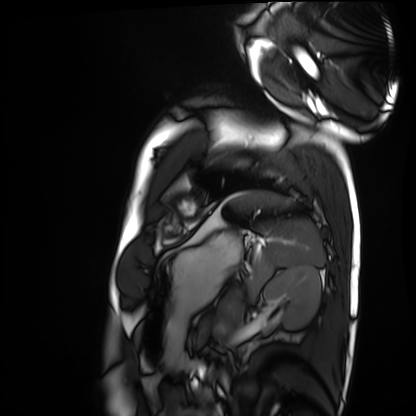
modality: cardiac MRI; subject group: healthy volunteer.